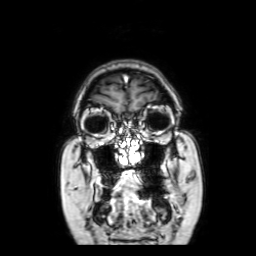
Case:
– modality · 3 Tesla brain MRI
– series · coronal with contrast
– study · ring-enhancing brain masses